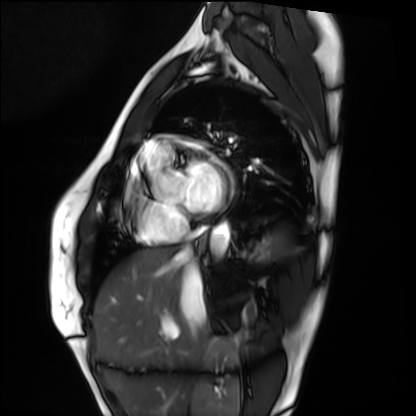
Cardiac MRI. Subject group: healthy volunteer.